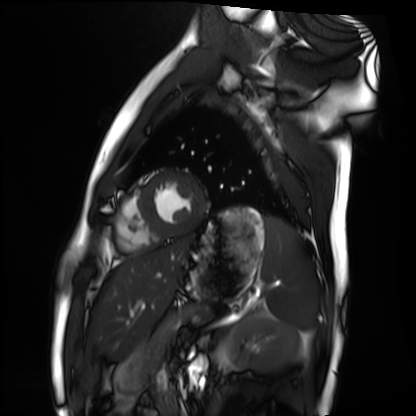
Cardiac MRI.
Subject group: healthy volunteer.